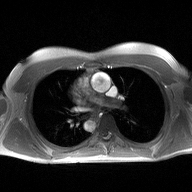
2D phase-contrast cine MRI of the ascending aorta, high-resolution GRAPPA acquisition.